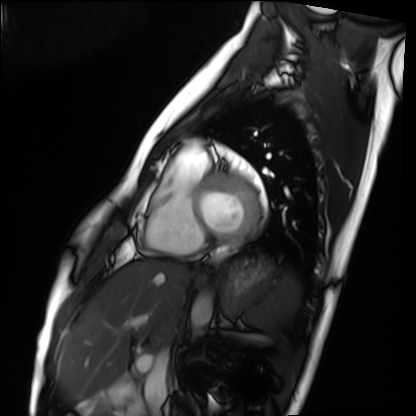
- modality · cardiac MRI
- subject group · healthy volunteer